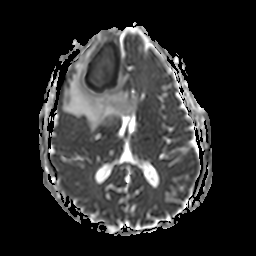
{
  "modality": {
    "type": "brain MRI",
    "field_strength": "3T"
  },
  "series": "apparent diffusion coefficient (ADC) map",
  "study_topic": "ring-enhancing brain masses"
}